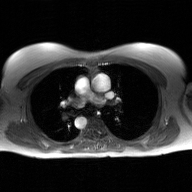
Q: What kind of scan is this?
A: 2D phase-contrast cine MRI of the ascending aorta, GAN super-resolution reconstruction.